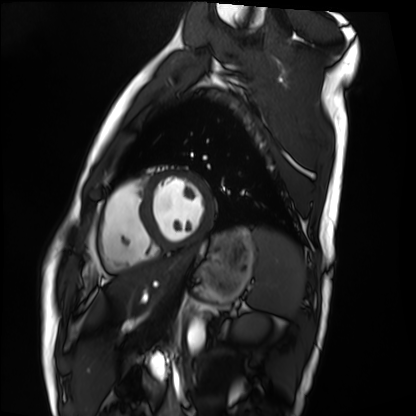
Summary: Cardiac MRI. Subject group: healthy volunteer.